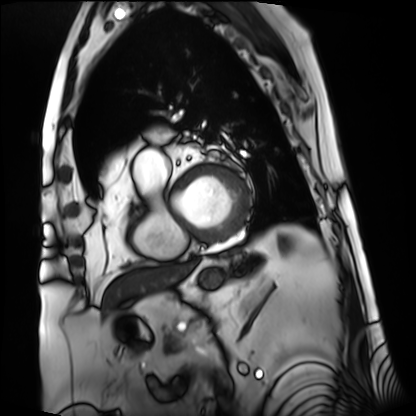
Clinical context:
Cardiac MRI. Subject group: patient.